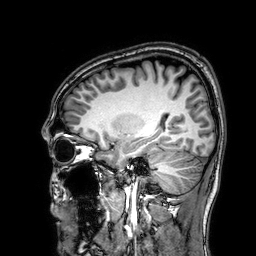
* modality: 3 Tesla brain MRI
* series: 3D T1-weighted
* study: ring-enhancing brain masses